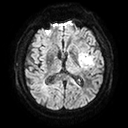
Q: What kind of scan is this?
A: 3 Tesla brain MRI.
Q: Series?
A: Diffusion tensor imaging (medium iso).
Study: ring-enhancing brain masses.